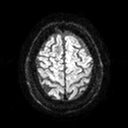
3 Tesla brain MRI.
Series: diffusion tensor imaging (medium iso).
Study: ring-enhancing brain masses.